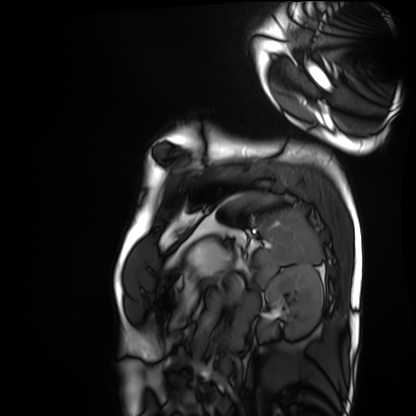
Case:
• modality — cardiac MRI
• subject group — healthy volunteer